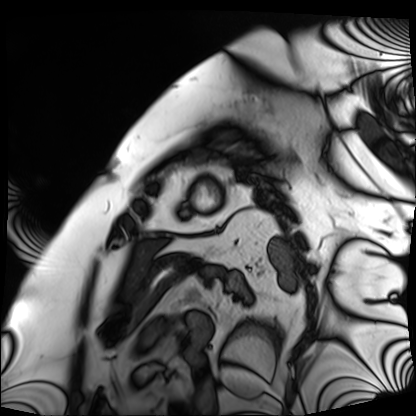
| field | value |
|---|---|
| modality | cardiac MRI |
| subject group | patient |